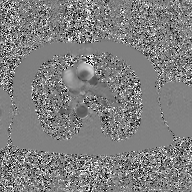
modality: 2D phase-contrast cine MRI of the ascending aorta, GAN super-resolution reconstruction.